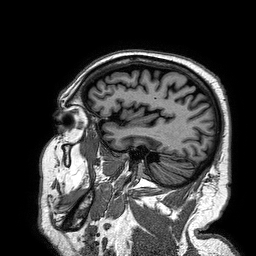
Q: What kind of scan is this?
A: 3 Tesla brain MRI.
Q: Series?
A: 3D T1-weighted turbo field echo.
Study: ring-enhancing brain masses.